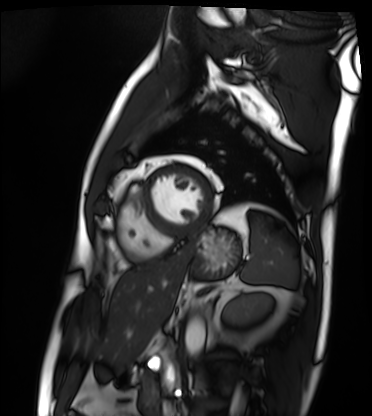
Cardiac MRI.
Subject group: patient.